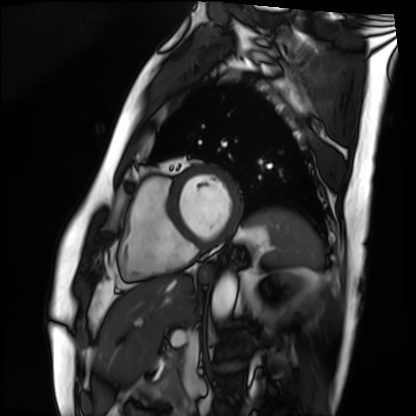
Cardiac MRI.
Subject group: patient.